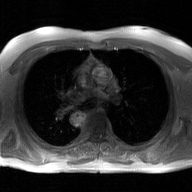
<scan>
  <modality>
    <type>2D phase-contrast cine MRI</type>
    <region>ascending aorta</region>
    <reconstruction>GAN super-resolution reconstruction</reconstruction>
  </modality>
</scan>